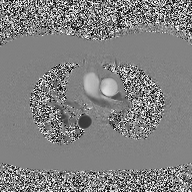
2D phase-contrast cine MRI of the ascending aorta, high-resolution GRAPPA acquisition.